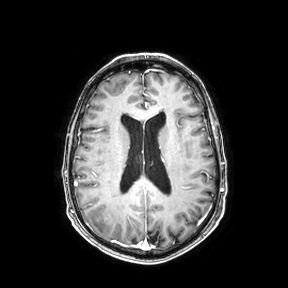
– modality · 3 Tesla brain MRI
– series · axial
– study · ring-enhancing brain masses